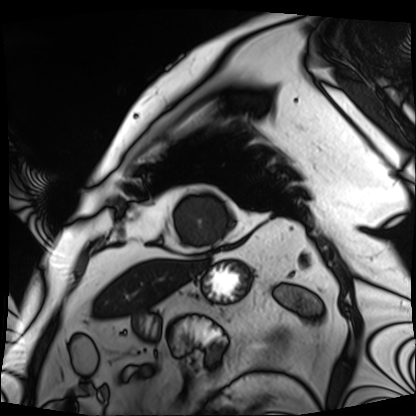
Q: What kind of scan is this?
A: Cardiac MRI.
Subject group: patient.